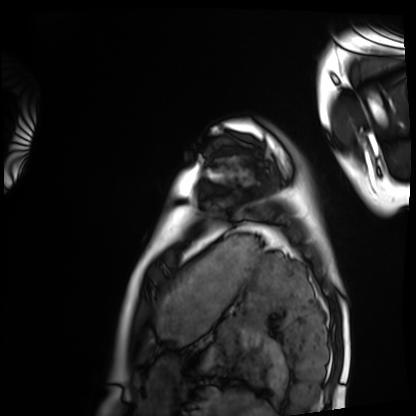
Cardiac MRI. Subject group: healthy volunteer.